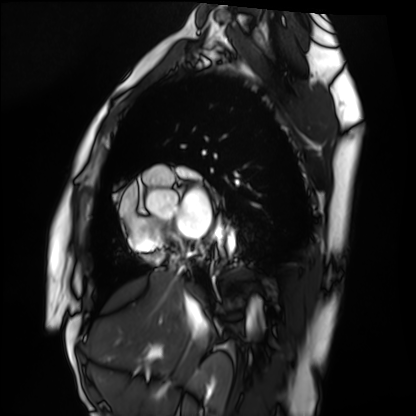
Case summary:
Cardiac MRI. Subject group: healthy volunteer.